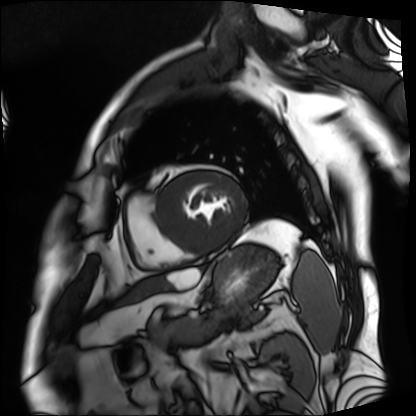
{
  "modality": "cardiac MRI",
  "cohort": "patient"
}